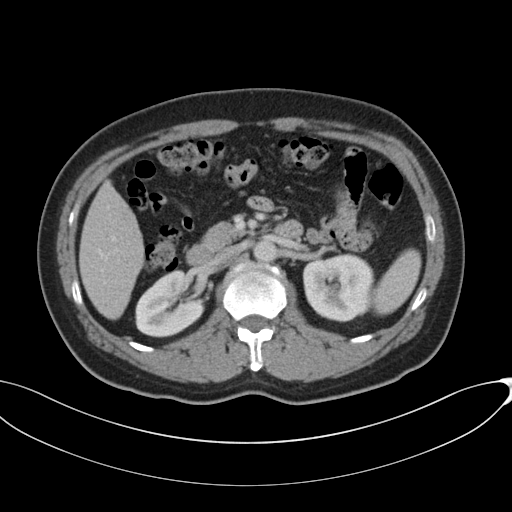
Case summary: Multiphase abdominal CT, liver, portal venous phase. Patient: male, age 49. History: cirrhosis, viral hepatitis.